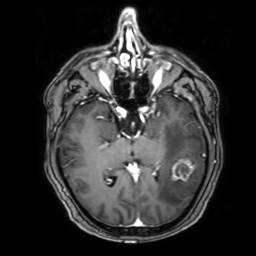
Clinical context: 3 Tesla brain MRI. Series: 3D T1-weighted with SENSE. Study: ring-enhancing brain masses.